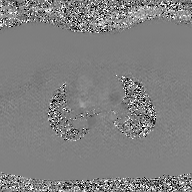
modality: 2D phase-contrast cine MRI of the ascending aorta, GAN super-resolution reconstruction.